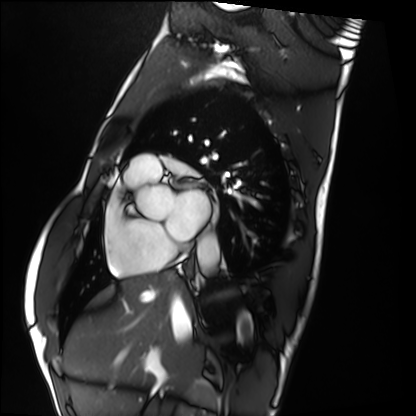
<scan>
  <modality>cardiac MRI</modality>
  <cohort>healthy volunteer</cohort>
</scan>